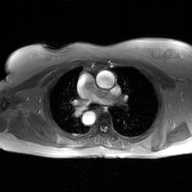
2D phase-contrast cine MRI of the ascending aorta, GAN super-resolution reconstruction.